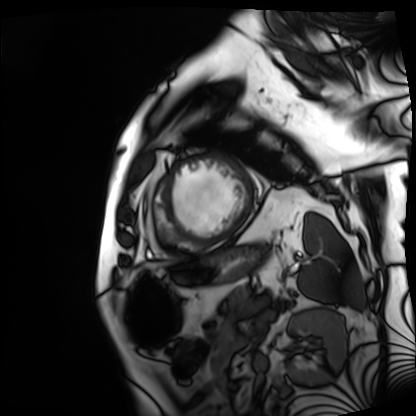
Summary: Cardiac MRI. Subject group: patient.